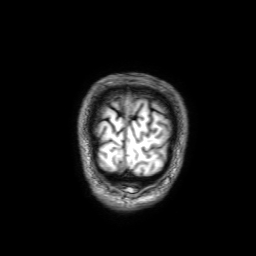
| field | value |
|---|---|
| modality | 3 Tesla brain MRI |
| series | 3D T1-weighted with SENSE |
| study | ring-enhancing brain masses |